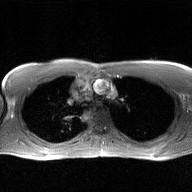
Case:
* modality: 2D phase-contrast cine MRI of the ascending aorta, GAN super-resolution reconstruction